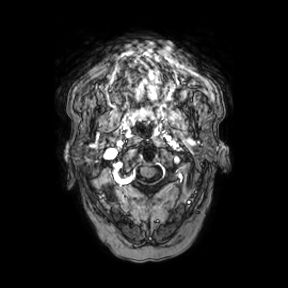
3 Tesla brain MRI. Series: axial. Study: ring-enhancing brain masses.